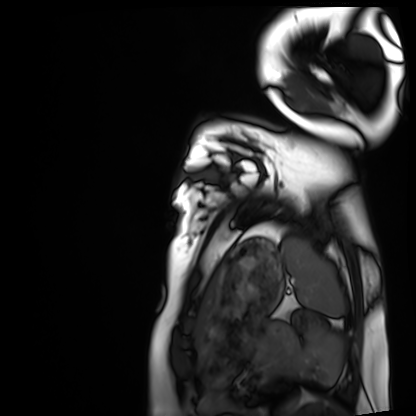
modality=cardiac MRI; subject group=healthy volunteer.